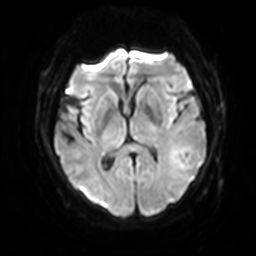
3 Tesla brain MRI. Series: diffusion-weighted imaging with SENSE (WIP). Study: ring-enhancing brain masses.